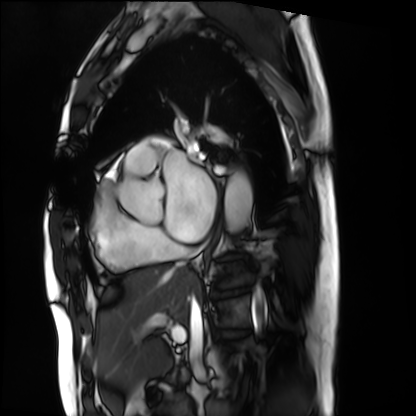
Cardiac MRI. Subject group: patient.